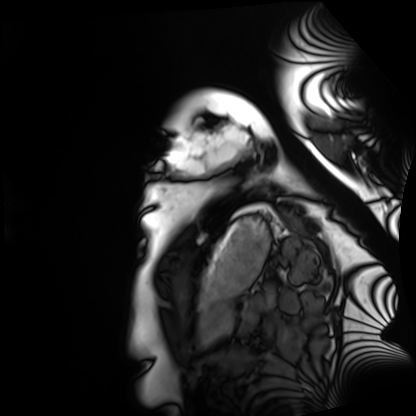
<record>
  <modality>cardiac MRI</modality>
  <cohort>healthy volunteer</cohort>
</record>